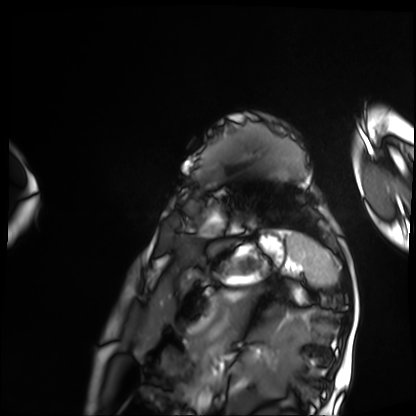
Summary: Cardiac MRI. Subject group: patient.